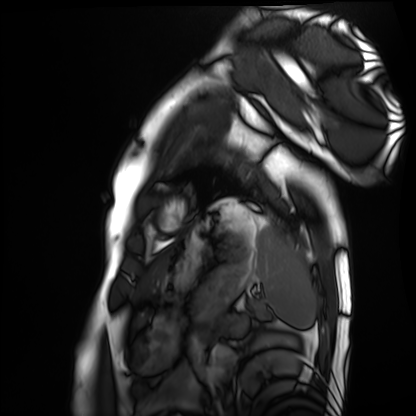
Summary: Cardiac MRI. Subject group: healthy volunteer.